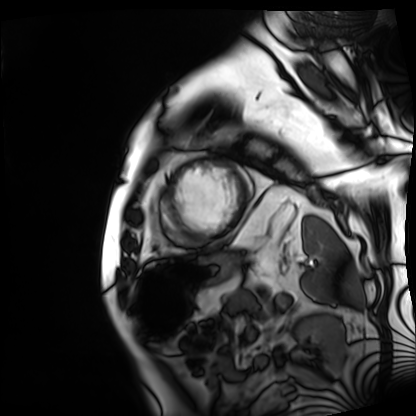
Cardiac MRI.
Subject group: patient.